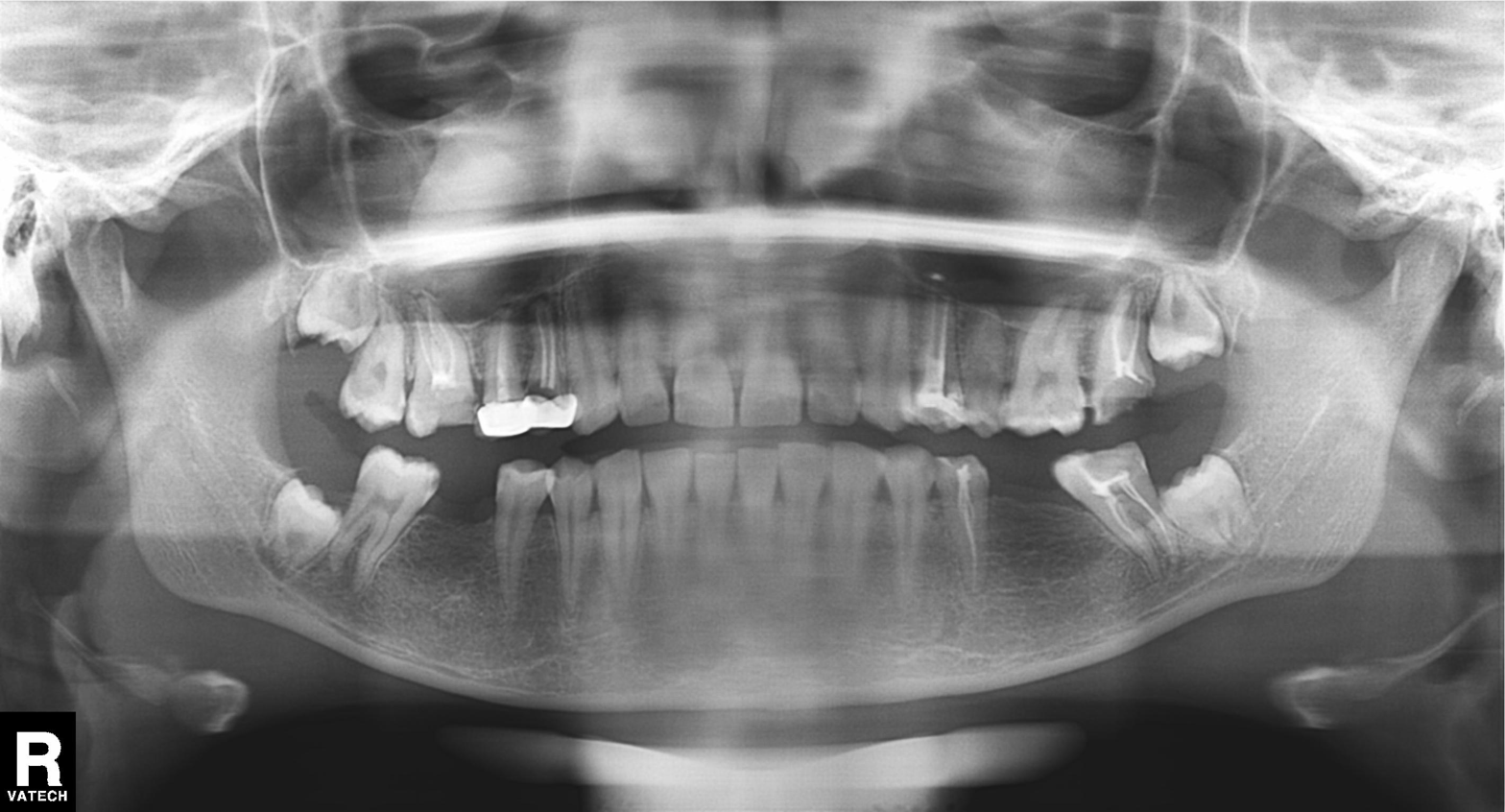
Panoramic dental radiograph (orthopantomogram). Finding: dental caries (cavities).